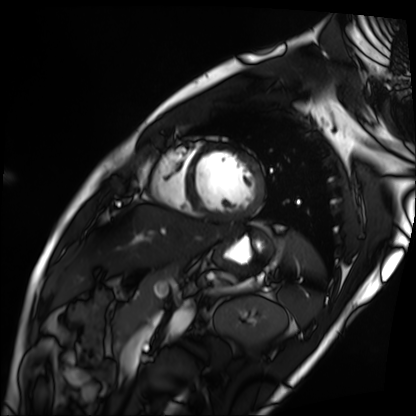
Cardiac MRI. Subject group: patient.